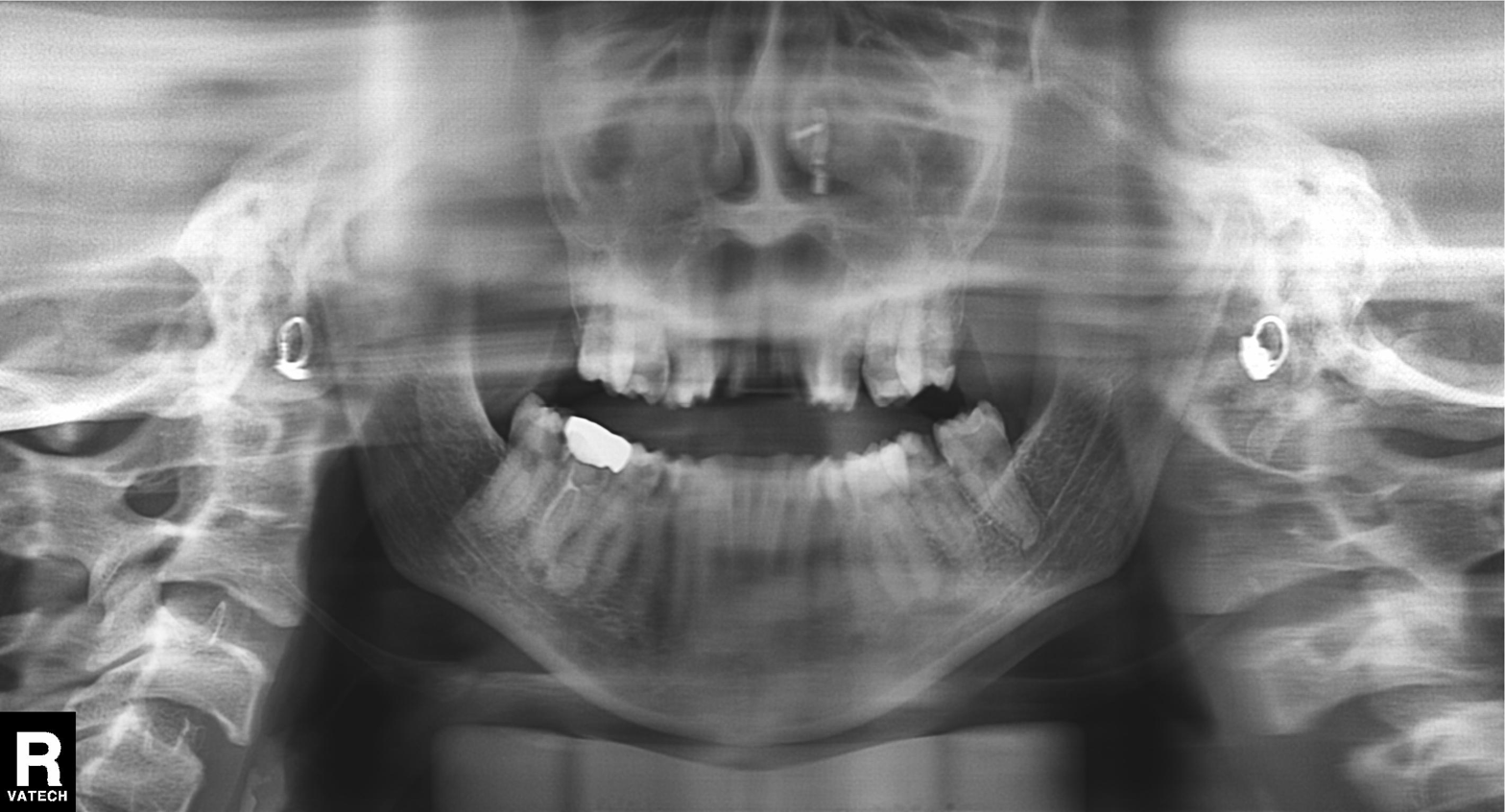
modality = panoramic dental radiograph (orthopantomogram)
finding = alveolar bone loss